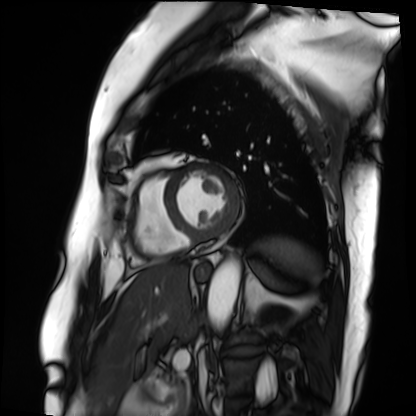
Summary:
Cardiac MRI. Subject group: patient.